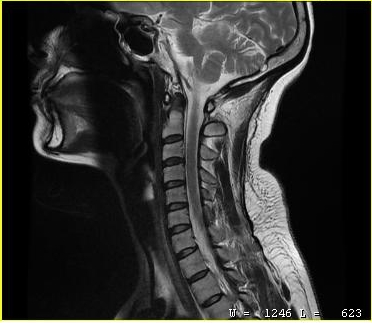
MRI of the cervical spine. Study: cervical spondylosis.